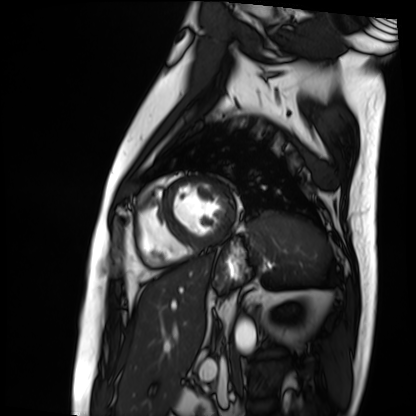
{
  "modality": "cardiac MRI",
  "cohort": "patient"
}